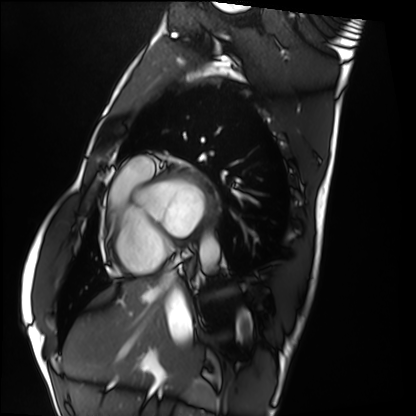
Cardiac MRI.
Subject group: healthy volunteer.